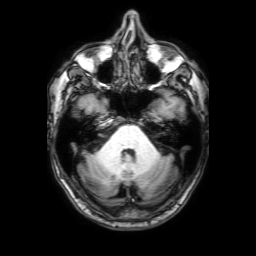
Q: What kind of scan is this?
A: 3 Tesla brain MRI.
Q: Series?
A: 3D T1-weighted with SENSE.
Study: ring-enhancing brain masses.